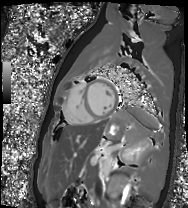
Cardiac MR image of the myocardium. Subject cohort: healthy volunteer.